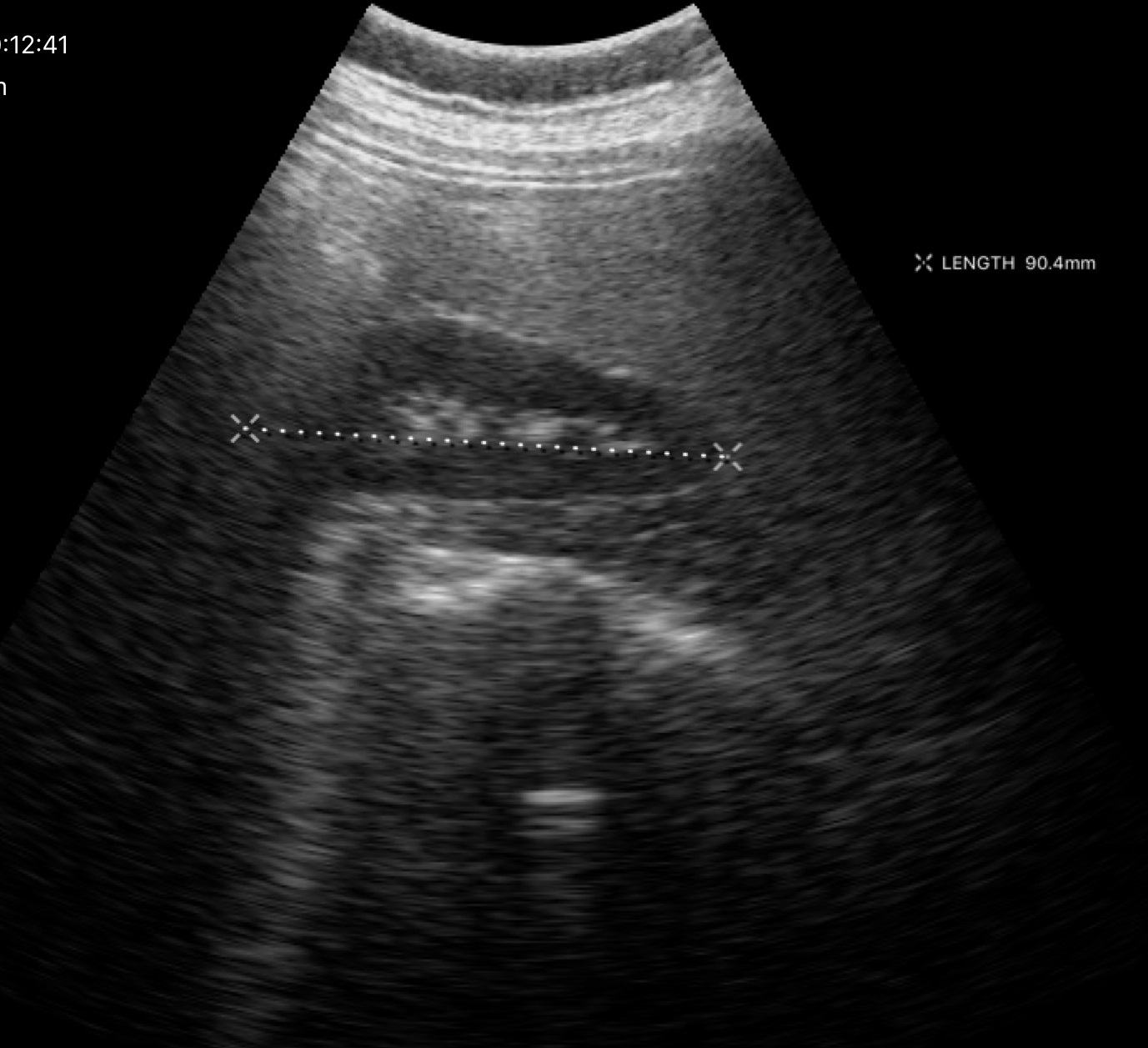
Clinical context:
Genitourinary ultrasound.